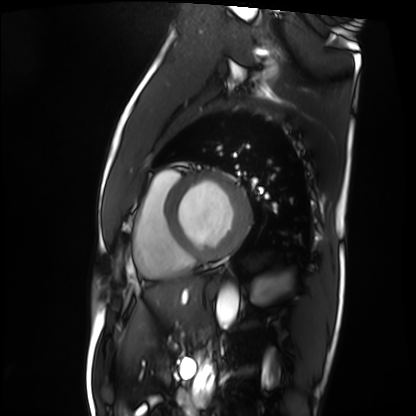
Case summary: Cardiac MRI. Subject group: patient.